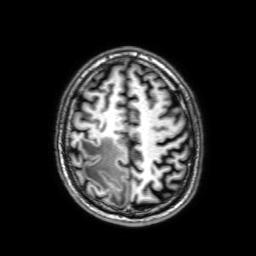
3 Tesla brain MRI.
Series: 3D T1-weighted with SENSE.
Study: ring-enhancing brain masses.